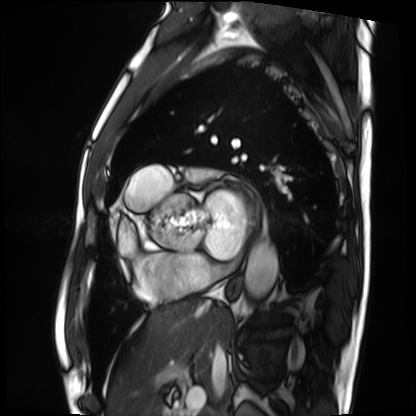
Case:
– modality · cardiac MRI
– subject group · patient